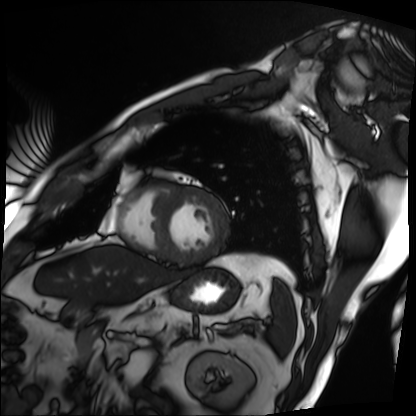
| field | value |
|---|---|
| modality | cardiac MRI |
| subject group | patient |